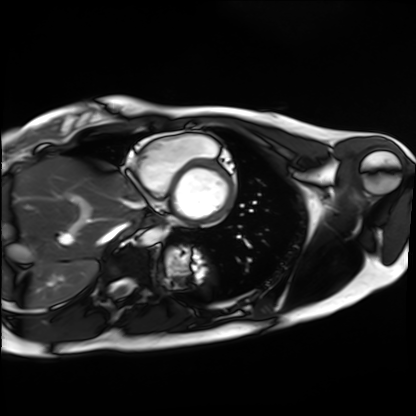
Clinical context:
Cardiac MRI. Subject group: healthy volunteer.